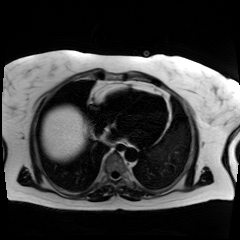
modality=chemical-shift-encoded cardiac MRI.